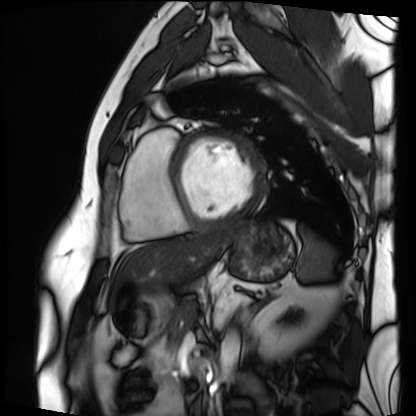
Summary:
Cardiac MRI. Subject group: patient.